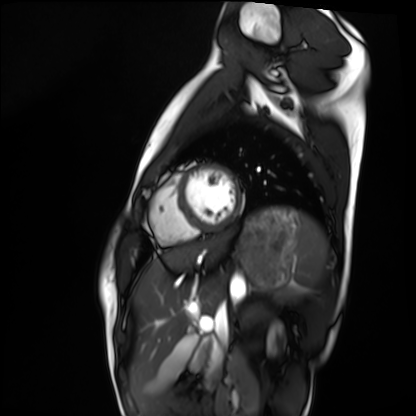
Case summary: Cardiac MRI. Subject group: healthy volunteer.